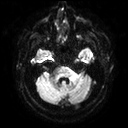
modality = 3 Tesla brain MRI | series = diffusion tensor imaging (medium iso) | study = ring-enhancing brain masses.